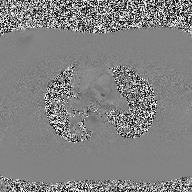
Summary: 2D phase-contrast cine MRI of the ascending aorta, high-resolution GRAPPA acquisition.